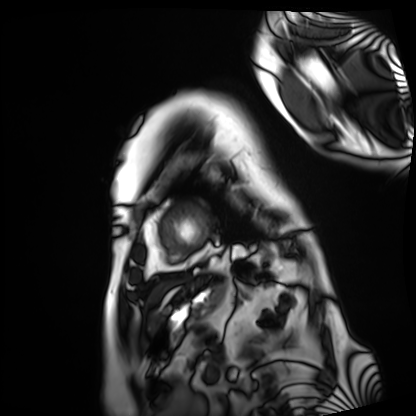
Q: What kind of scan is this?
A: Cardiac MRI.
Subject group: patient.